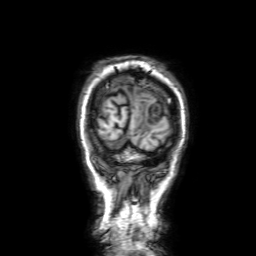
modality — 3 Tesla brain MRI | series — 3D T1-weighted with SENSE | study — ring-enhancing brain masses.